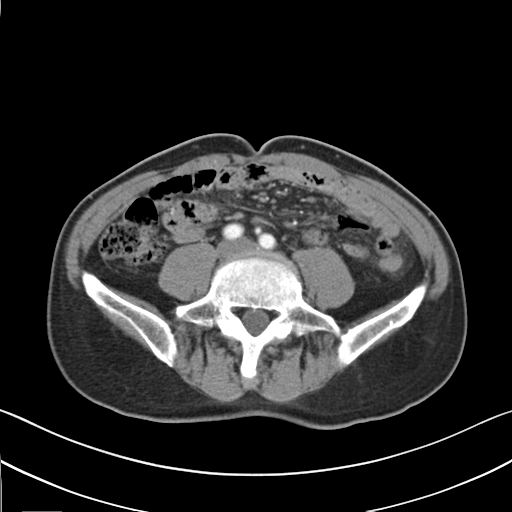
| field | value |
|---|---|
| modality | multiphase abdominal CT, liver, arterial phase |
| patient | male, age 67 |
| history | prior chemotherapy |